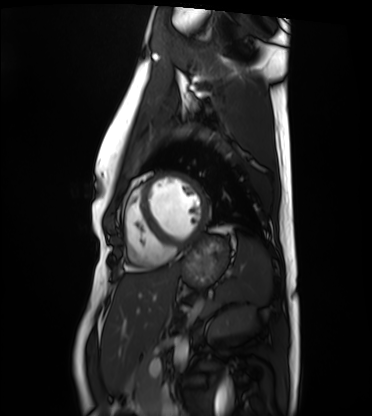
Cardiac MRI. Subject group: healthy volunteer.